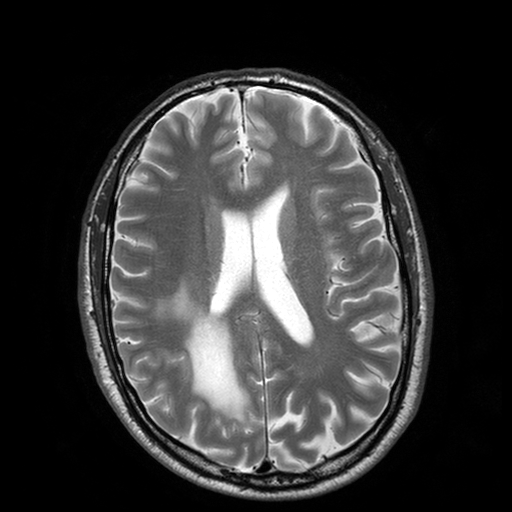
3 Tesla brain MRI. Series: T2-weighted turbo spin echo with SENSE. Study: ring-enhancing brain masses.